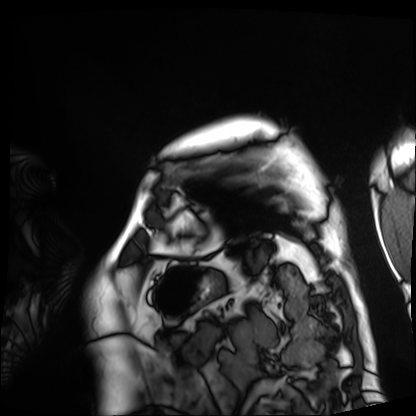
modality = cardiac MRI, subject group = patient.